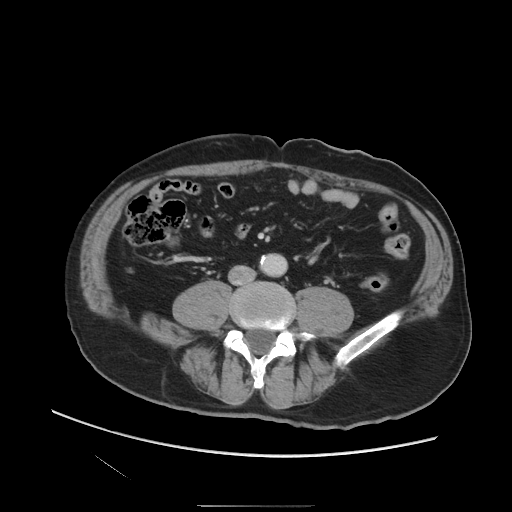
modality: multiphase abdominal CT, liver, portal venous phase
patient: male, age 61